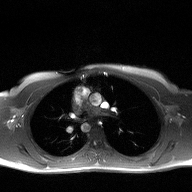
<study>
  <modality>
    <type>2D phase-contrast cine MRI</type>
    <region>ascending aorta</region>
    <reconstruction>high-resolution GRAPPA acquisition</reconstruction>
  </modality>
</study>